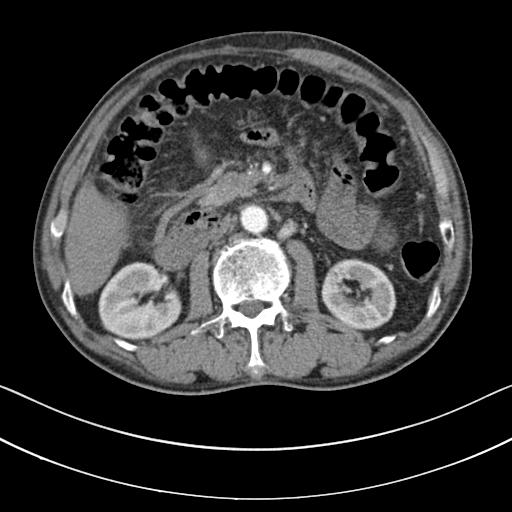
Clinical context:
Multiphase abdominal CT, liver, arterial phase. Patient: male, age 60. History: cirrhosis, viral hepatitis.